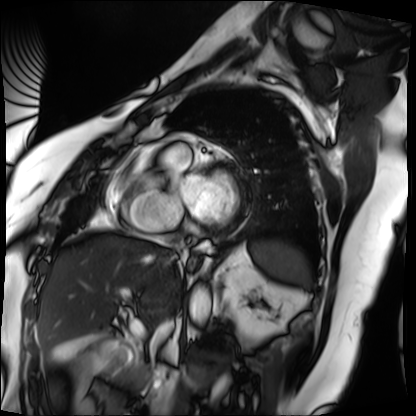
– modality · cardiac MRI
– subject group · patient